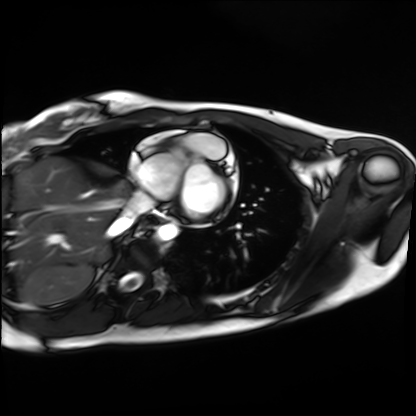
Cardiac MRI. Subject group: healthy volunteer.